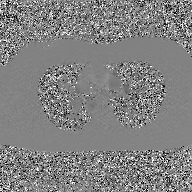
{
  "modality": {
    "type": "2D phase-contrast cine MRI",
    "region": "ascending aorta",
    "reconstruction": "GAN super-resolution reconstruction"
  }
}